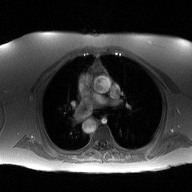
2D phase-contrast cine MRI of the ascending aorta, high-resolution GRAPPA acquisition.